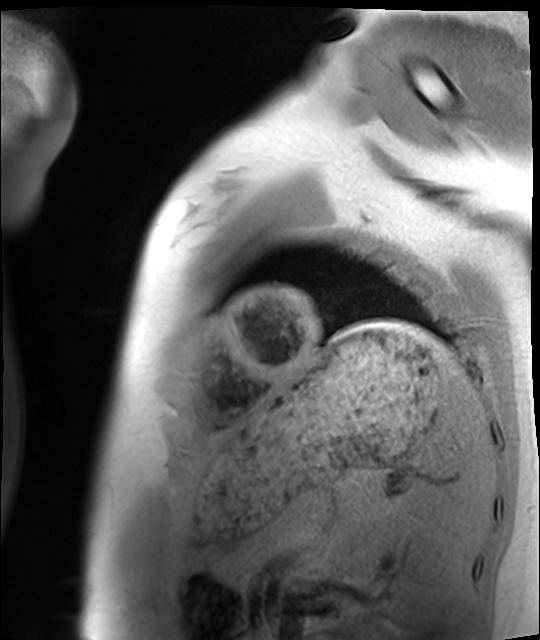
modality = cardiac MRI | subject group = healthy volunteer.